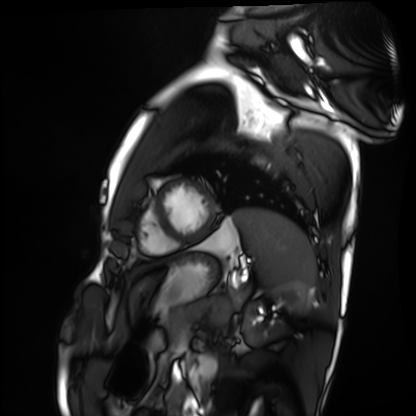
Summary:
Cardiac MRI. Subject group: healthy volunteer.